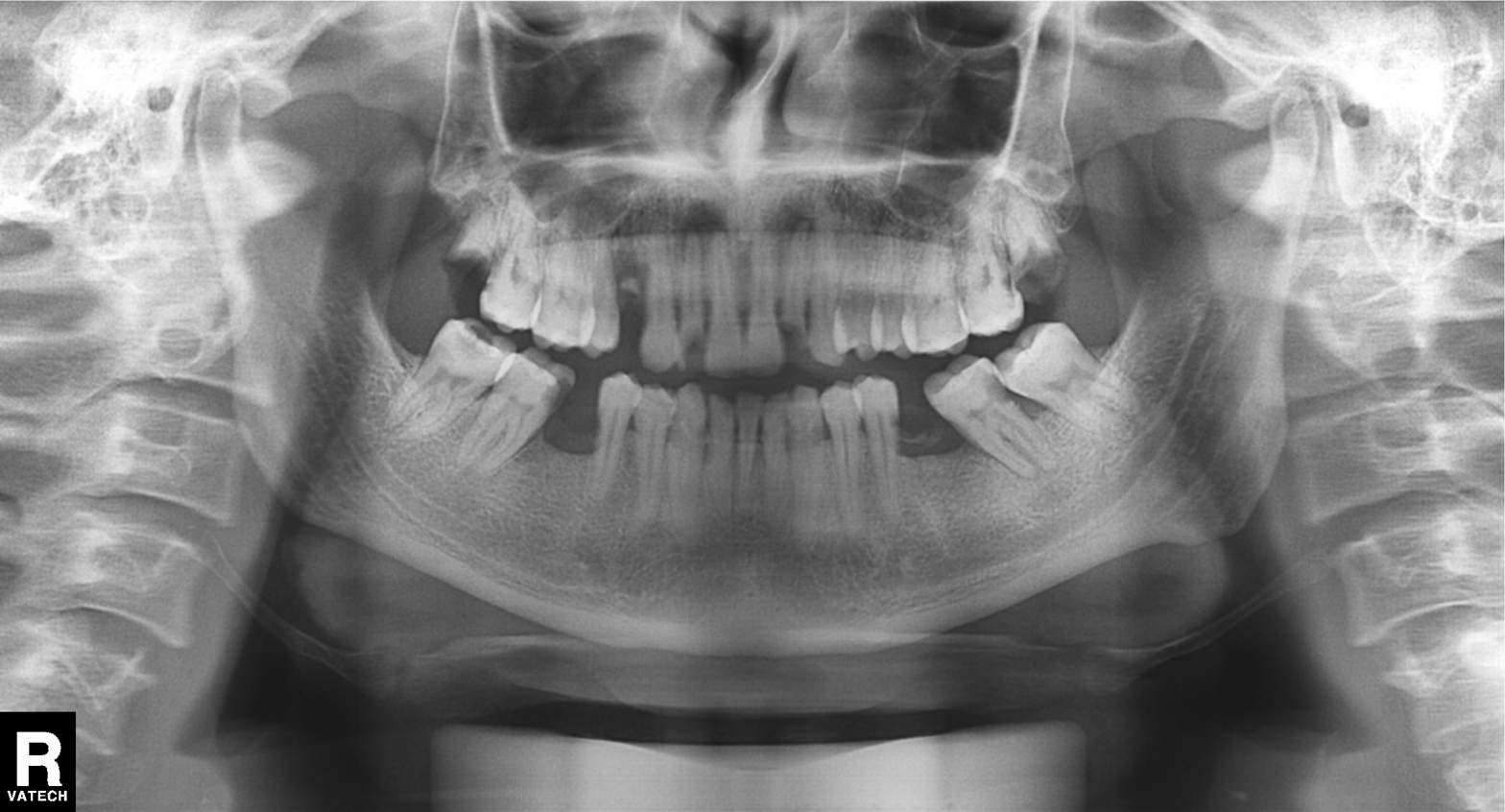
{"modality": "panoramic dental radiograph (orthopantomogram)", "finding": "dental caries (cavities)"}